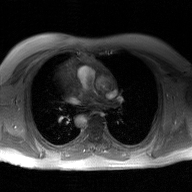
Clinical context: 2D phase-contrast cine MRI of the ascending aorta, GAN super-resolution reconstruction.